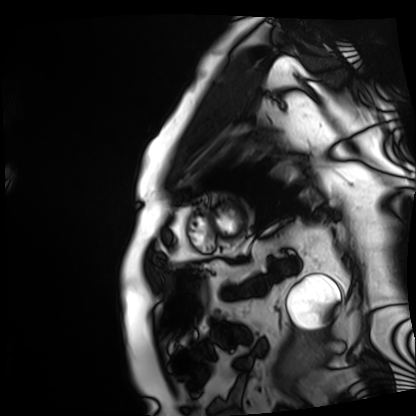
Cardiac MRI. Subject group: patient.